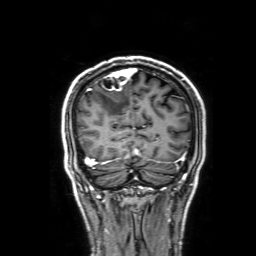
• modality: 3 Tesla brain MRI
• series: 3D T1-weighted with SENSE
• study: ring-enhancing brain masses